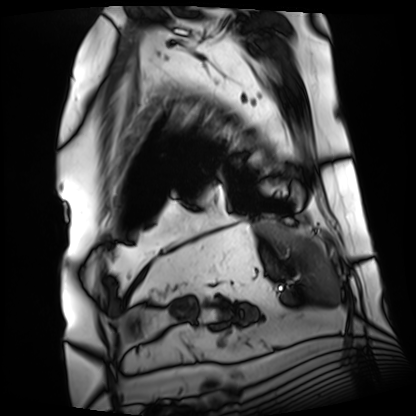
Cardiac MRI. Subject group: patient.